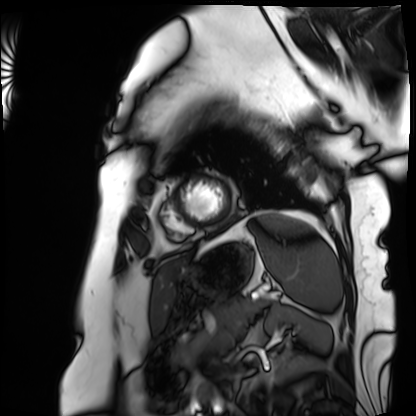
Clinical context:
Cardiac MRI. Subject group: patient.